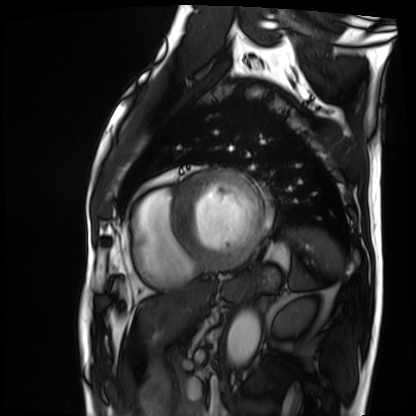
• modality — cardiac MRI
• subject group — patient